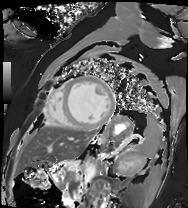
Q: What kind of scan is this?
A: Cardiac MRI.
Subject group: patient.